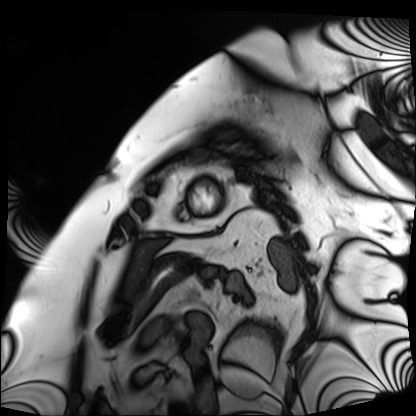
Cardiac MRI.
Subject group: patient.